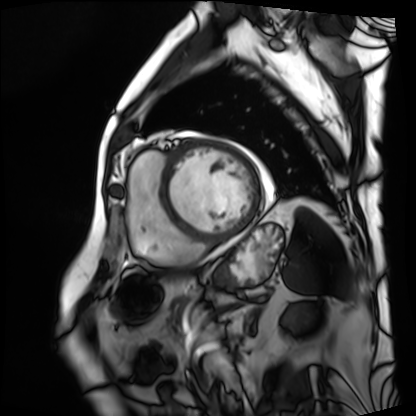
modality=cardiac MRI
subject group=patient